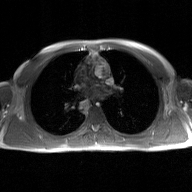
Summary:
2D phase-contrast cine MRI of the ascending aorta, GAN super-resolution reconstruction.